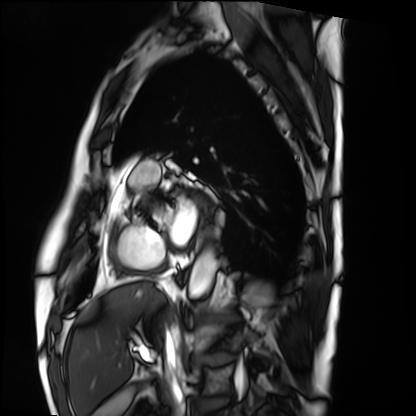
modality: cardiac MRI, subject group: patient.